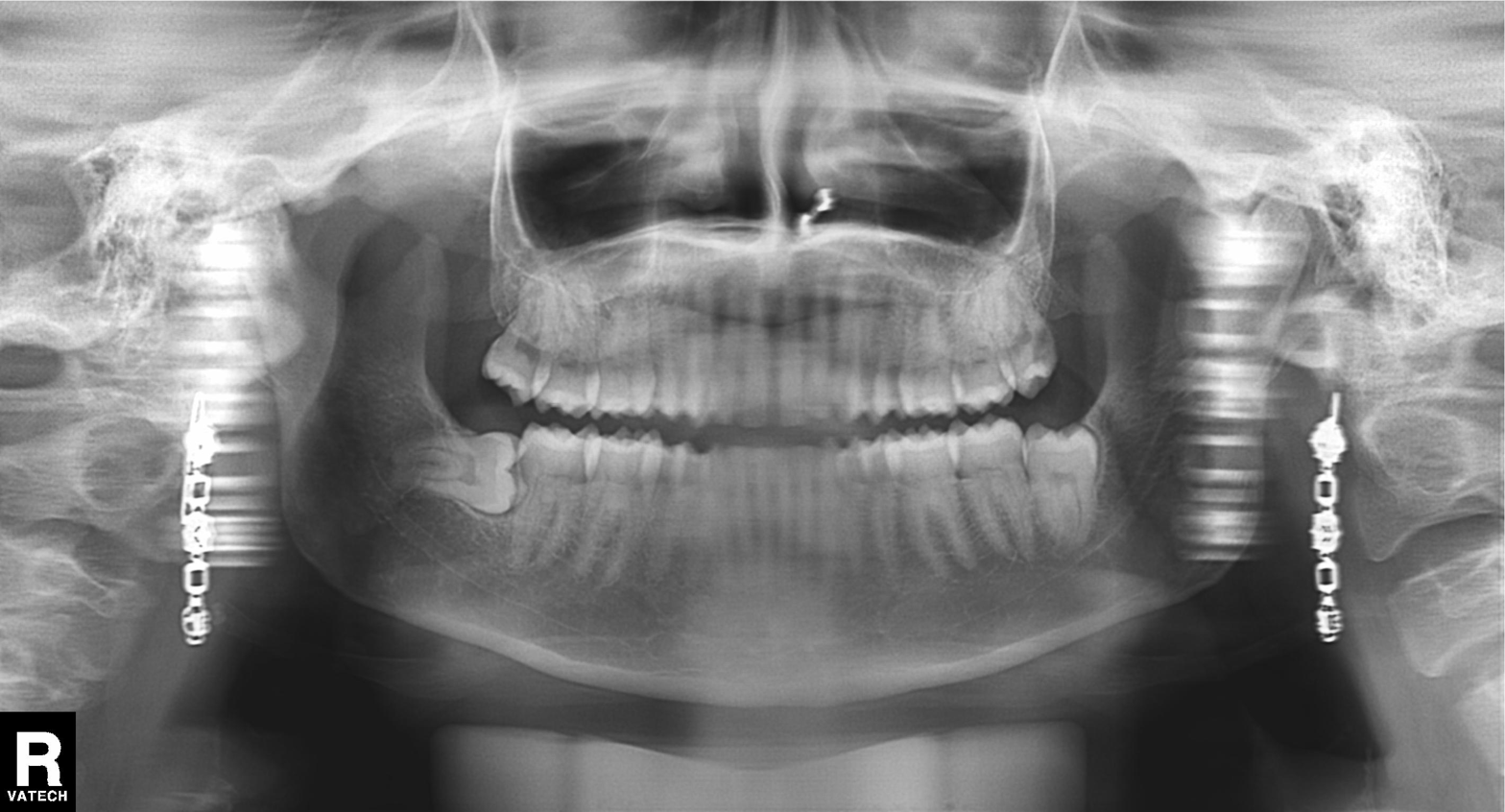
Panoramic dental radiograph (orthopantomogram). Finding: tooth impaction.